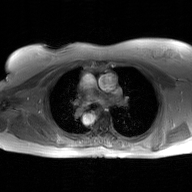
modality — 2D phase-contrast cine MRI of the ascending aorta, GAN super-resolution reconstruction.